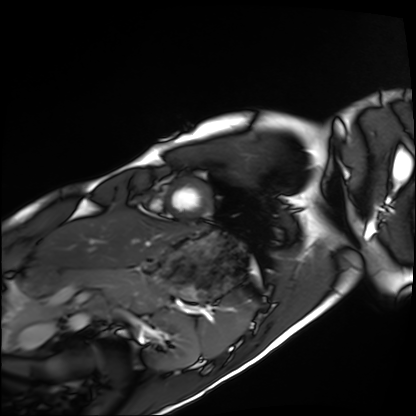
Cardiac MRI.
Subject group: healthy volunteer.